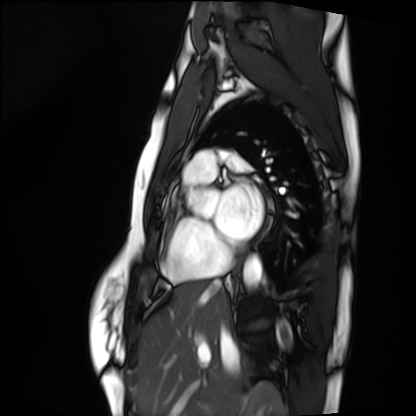
modality = cardiac MRI | subject group = healthy volunteer.